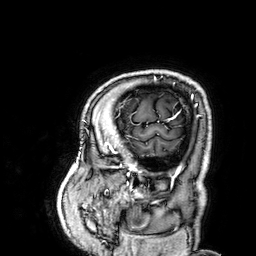
3 Tesla brain MRI. Series: 3D T1-weighted. Study: ring-enhancing brain masses.